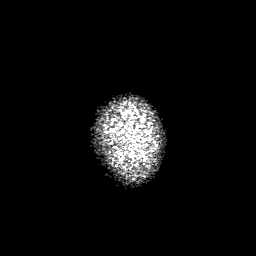
Case summary: 3 Tesla brain MRI. Series: 3D T1-weighted with SENSE. Study: ring-enhancing brain masses.